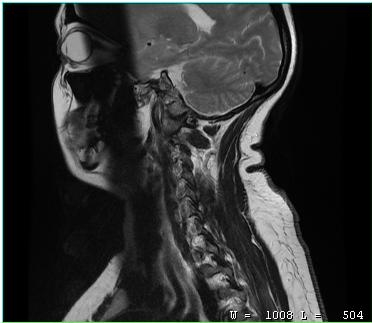
MRI of the cervical spine.
Study: cervical spondylosis.